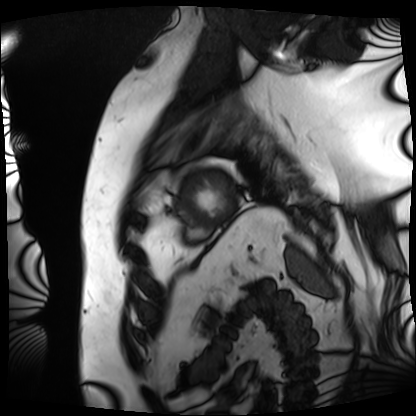
modality = cardiac MRI | subject group = patient.